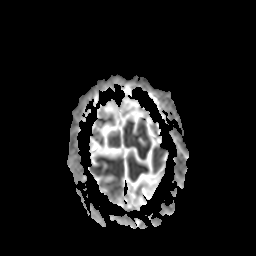
3 Tesla brain MRI.
Series: apparent diffusion coefficient (ADC) map.
Study: ring-enhancing brain masses.